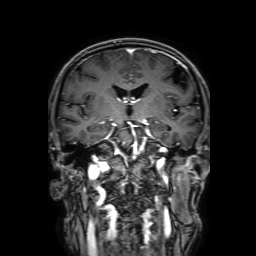
modality = 3 Tesla brain MRI
series = 3D T1-weighted with SENSE
study = ring-enhancing brain masses